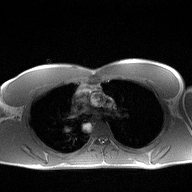
2D phase-contrast cine MRI of the ascending aorta, high-resolution GRAPPA acquisition.